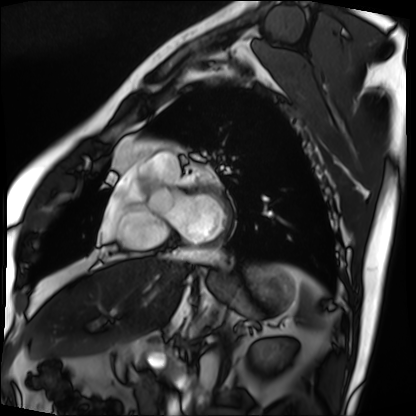
Clinical context: Cardiac MRI. Subject group: patient.